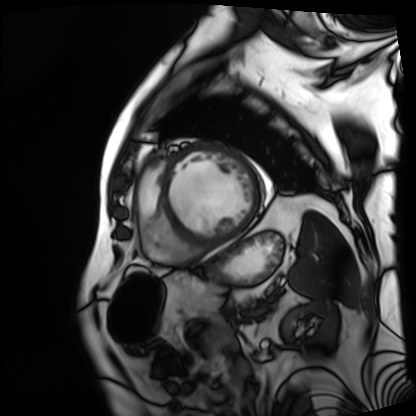
Q: What kind of scan is this?
A: Cardiac MRI.
Subject group: patient.